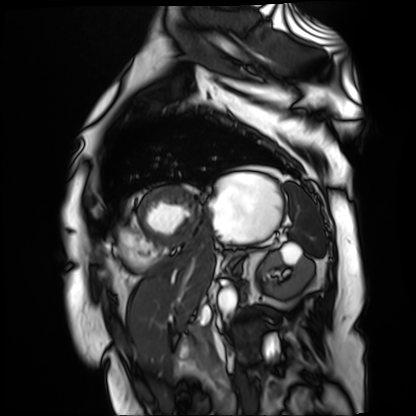
Cardiac MR image of the myocardium. Subject cohort: cardiac patient.